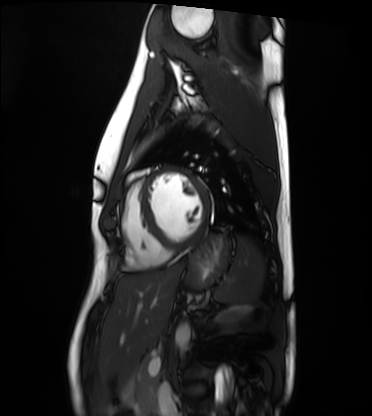
Case summary: Cardiac MRI. Subject group: healthy volunteer.